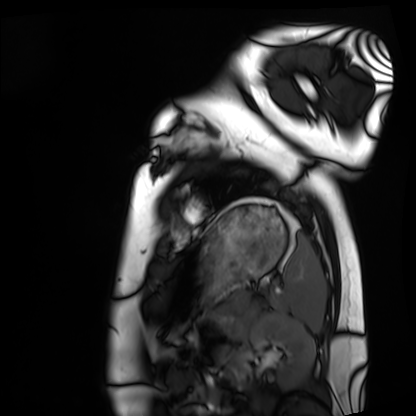
Summary: Cardiac MRI. Subject group: healthy volunteer.